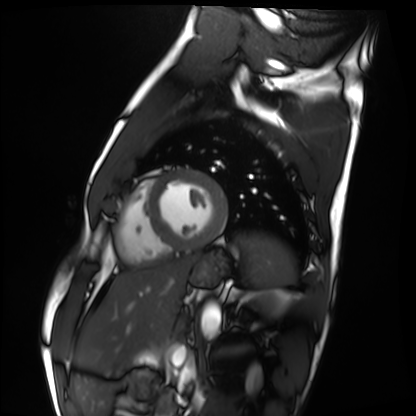
Cardiac MRI.
Subject group: healthy volunteer.